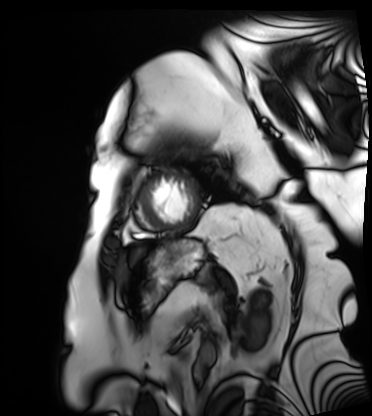
Summary: Cardiac MRI. Subject group: patient.